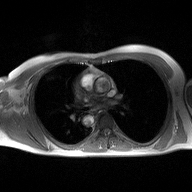
2D phase-contrast cine MRI of the ascending aorta, high-resolution GRAPPA acquisition.